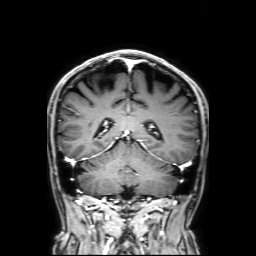
Case:
• modality · 3 Tesla brain MRI
• series · 3D T1-weighted with SENSE
• study · ring-enhancing brain masses